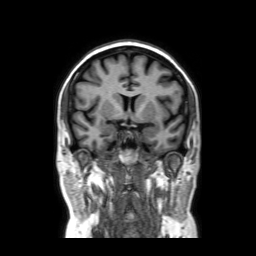
3 Tesla brain MRI.
Series: coronal without contrast.
Study: ring-enhancing brain masses.